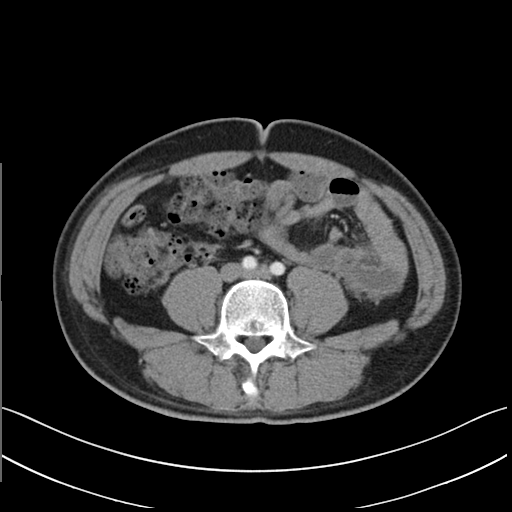
Multiphase abdominal CT, liver, arterial phase.
Patient: male, age 32.